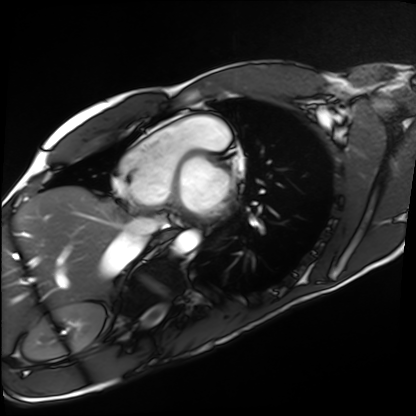
Summary: Cardiac MRI. Subject group: healthy volunteer.